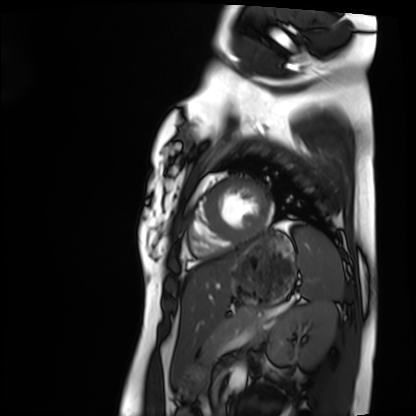
Q: What kind of scan is this?
A: Cardiac MRI.
Subject group: healthy volunteer.